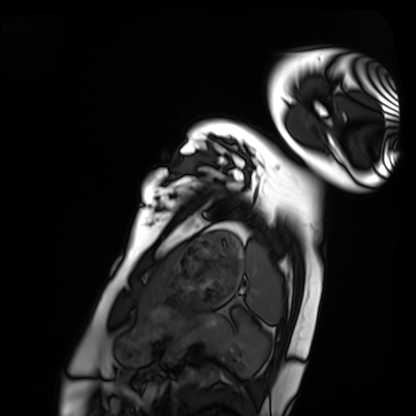
Clinical context:
Cardiac MRI. Subject group: healthy volunteer.